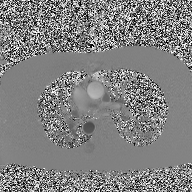
* modality: 2D phase-contrast cine MRI of the ascending aorta